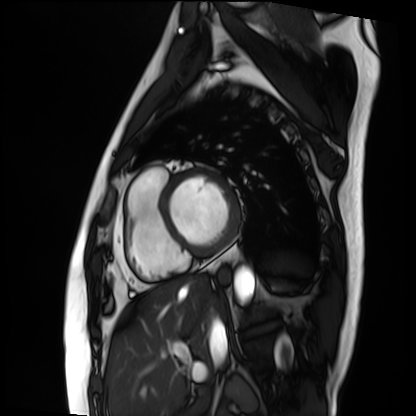
Summary: Cardiac MRI. Subject group: patient.